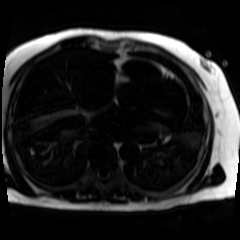
{"modality": "chemical-shift-encoded cardiac MRI"}